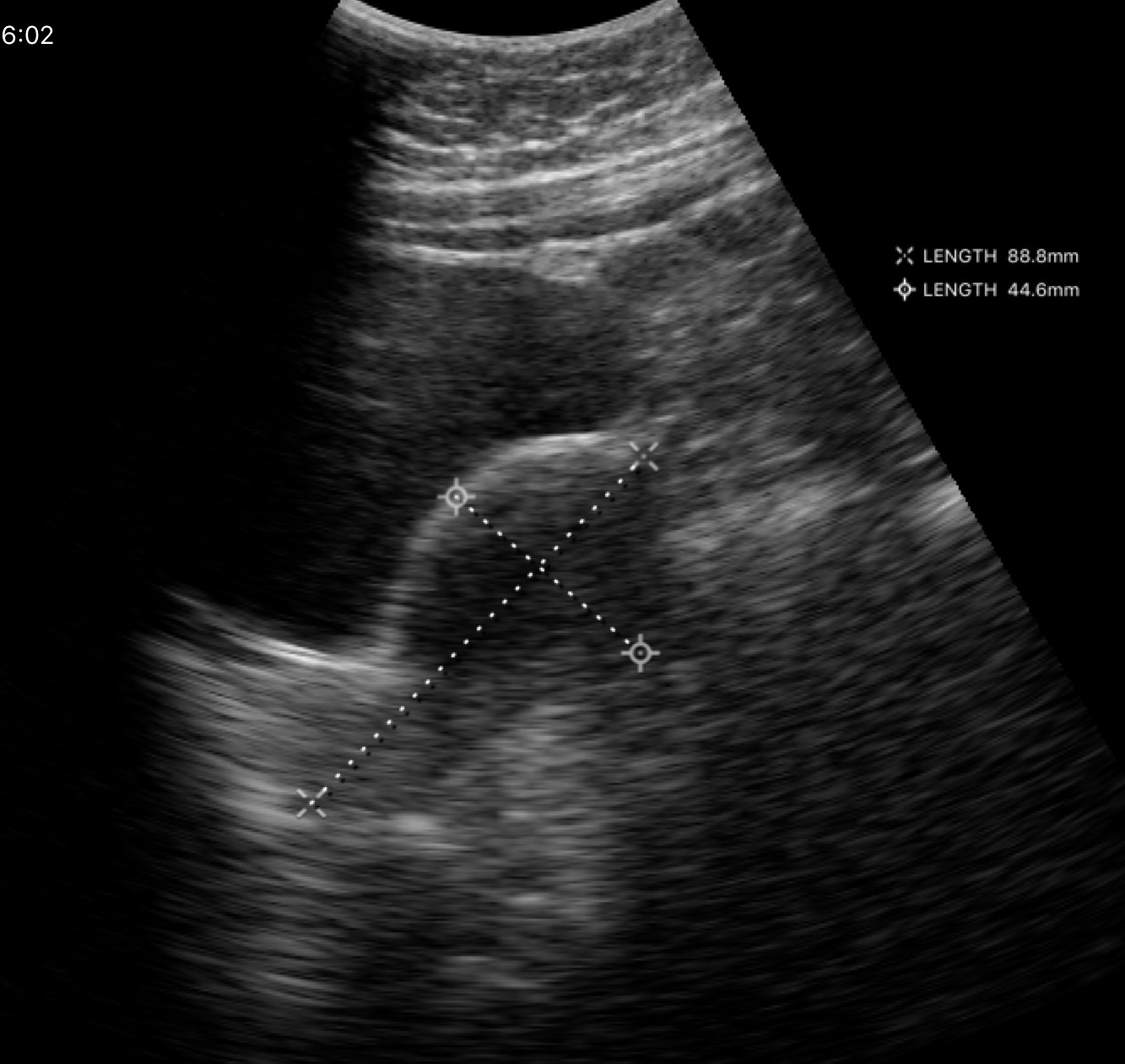
Genitourinary ultrasound.